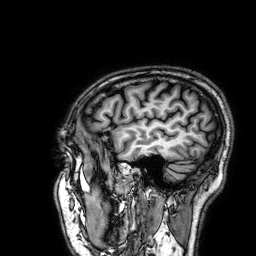
modality: 3 Tesla brain MRI
series: 3D T1-weighted
study: ring-enhancing brain masses